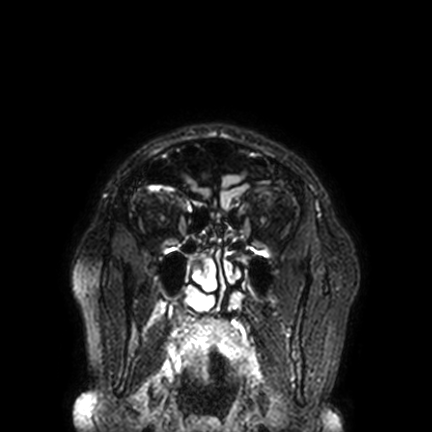
| field | value |
|---|---|
| modality | 3 Tesla brain MRI |
| series | FLAIR VISTA with SENSE |
| study | ring-enhancing brain masses |